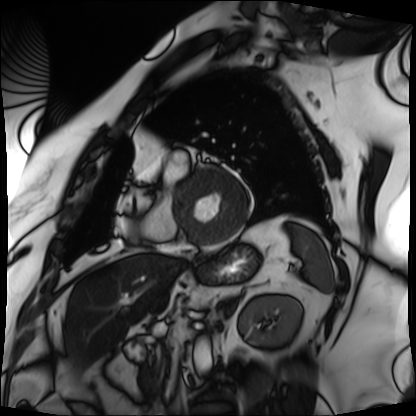
<record>
  <modality>cardiac MRI</modality>
  <cohort>patient</cohort>
</record>